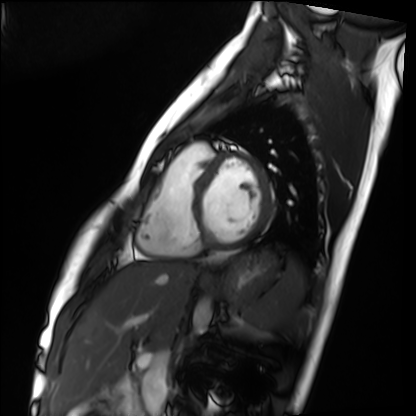
modality: cardiac MRI; subject group: healthy volunteer.